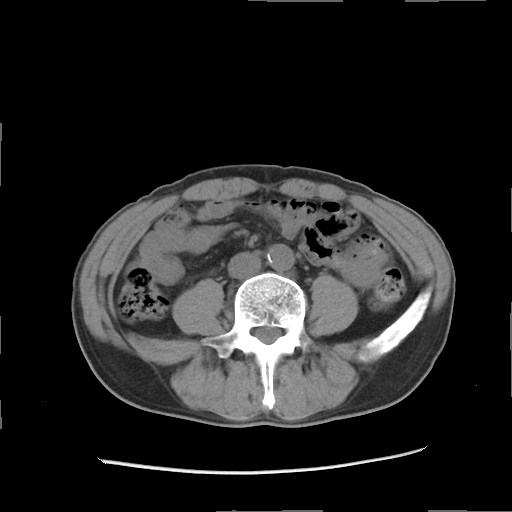
Multiphase abdominal CT, liver, non-contrast phase. Patient: male, age 57.